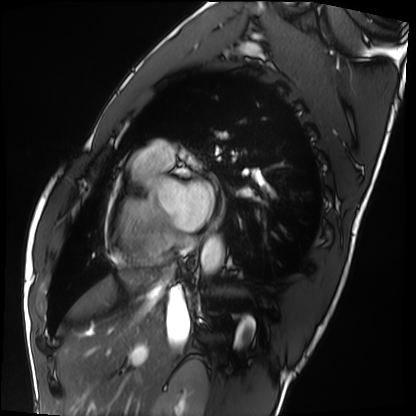
Summary: Cardiac MRI. Subject group: healthy volunteer.